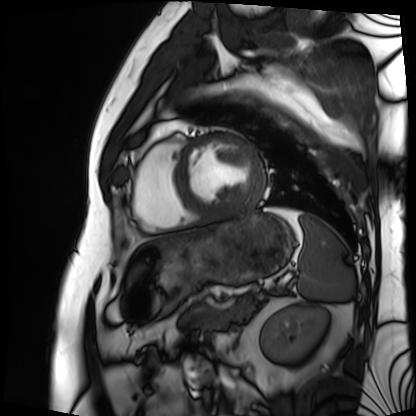
Cardiac MRI.
Subject group: patient.